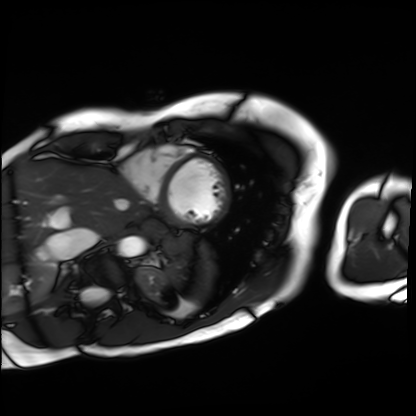
  modality: cardiac MRI
  cohort: patient